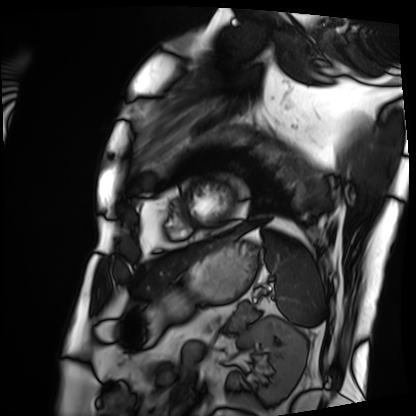
modality — cardiac MRI | subject group — patient.